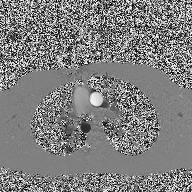
Summary: 2D phase-contrast cine MRI of the ascending aorta, high-resolution GRAPPA acquisition.